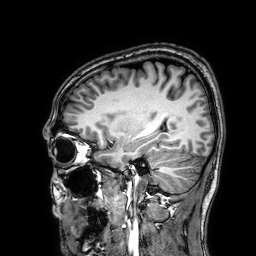
3 Tesla brain MRI. Series: 3D T1-weighted. Study: ring-enhancing brain masses.